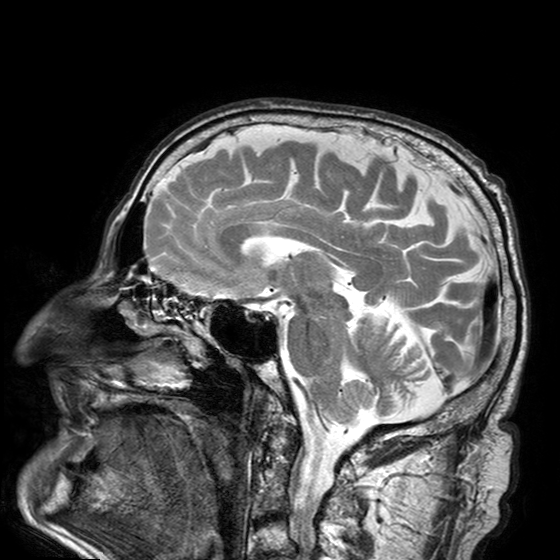
modality: 3 Tesla brain MRI
series: T2-weighted turbo spin echo with SENSE
study: ring-enhancing brain masses